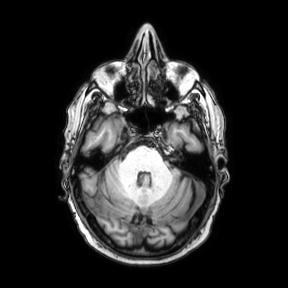
Summary:
3 Tesla brain MRI. Series: axial. Study: ring-enhancing brain masses.